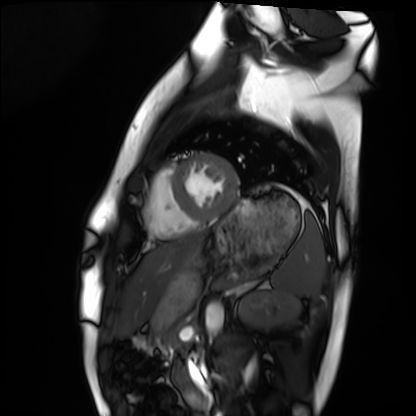
Cardiac MRI.
Subject group: healthy volunteer.